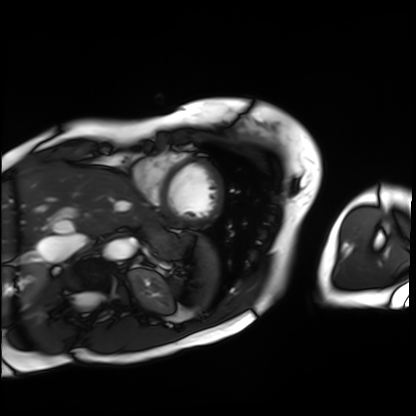
  modality: cardiac MRI
  cohort: patient